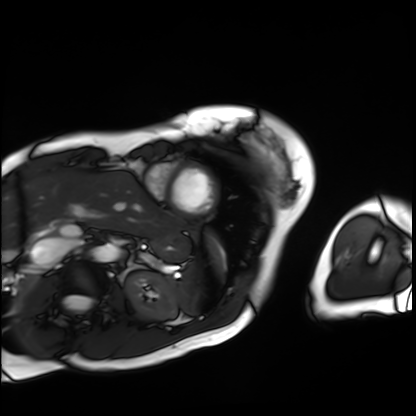
Cardiac MRI. Subject group: patient.